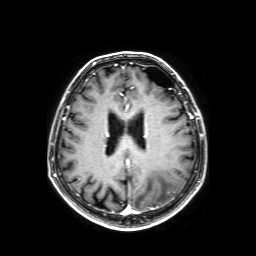
Summary:
3 Tesla brain MRI. Series: axial T1-weighted fusion image. Study: ring-enhancing brain masses.